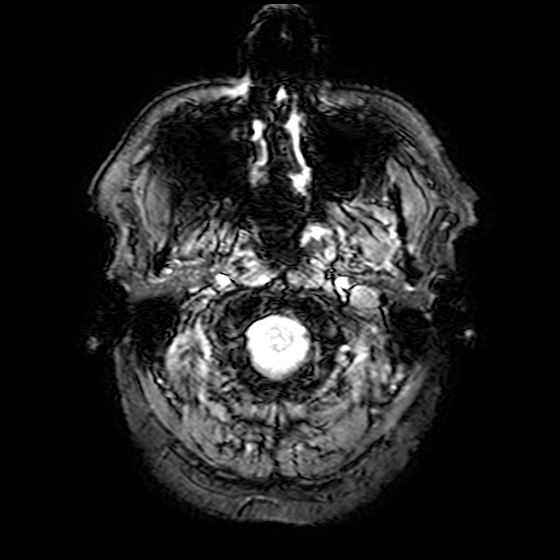
– modality · 3 Tesla brain MRI
– series · T2-weighted fast field echo
– study · ring-enhancing brain masses